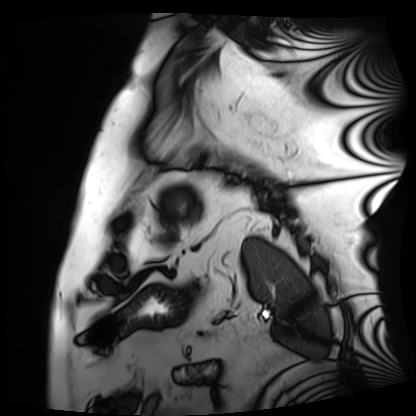
Cardiac MRI. Subject group: patient.